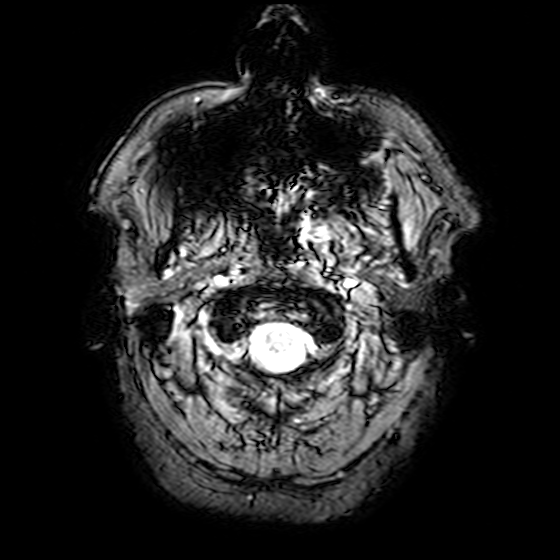
Summary: 3 Tesla brain MRI. Series: T2-weighted fast field echo. Study: ring-enhancing brain masses.